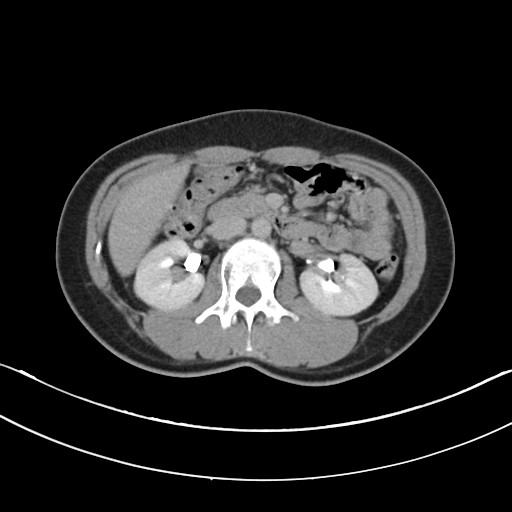
Multiphase abdominal CT, liver, delayed phase.
Patient: female, age 29.